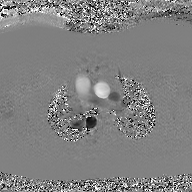
modality: 2D phase-contrast cine MRI of the ascending aorta, GAN super-resolution reconstruction